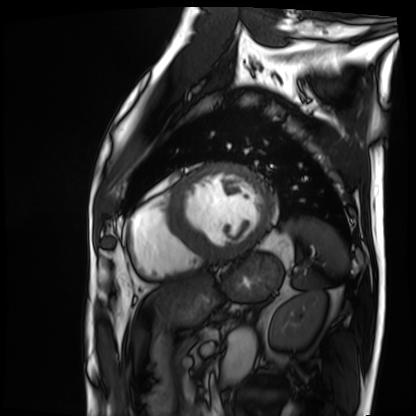
Cardiac MRI.
Subject group: patient.